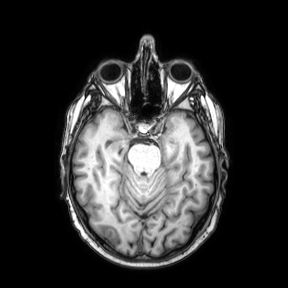
{"modality": {"type": "brain MRI", "field_strength": "3T"}, "series": "axial", "study_topic": "ring-enhancing brain masses"}